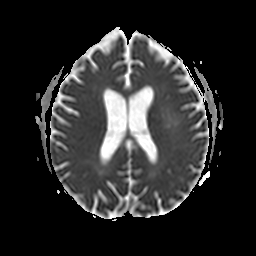
{
  "modality": {
    "type": "brain MRI",
    "field_strength": "3T"
  },
  "series": "apparent diffusion coefficient (ADC) map",
  "study_topic": "ring-enhancing brain masses"
}